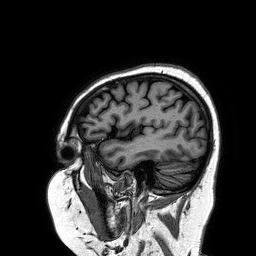
3 Tesla brain MRI. Series: 3D T1-weighted turbo field echo. Study: ring-enhancing brain masses.